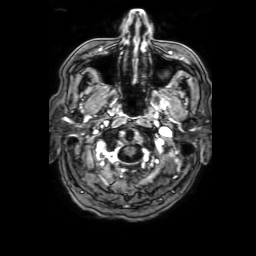
modality = 3 Tesla brain MRI; series = 3D T1-weighted with SENSE; study = ring-enhancing brain masses.